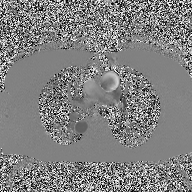
Q: What kind of scan is this?
A: 2D phase-contrast cine MRI of the ascending aorta.